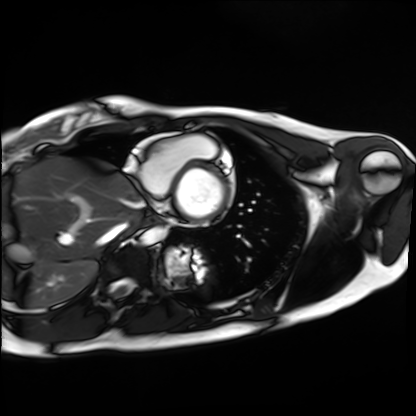
Clinical context:
Cardiac MRI. Subject group: healthy volunteer.